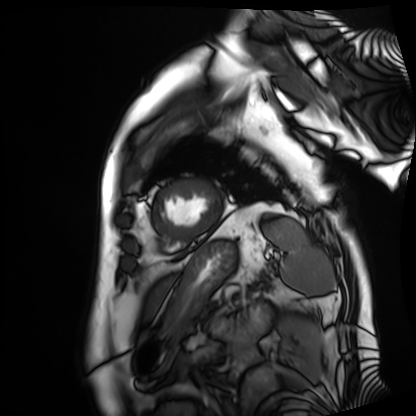
Cardiac MRI. Subject group: patient.